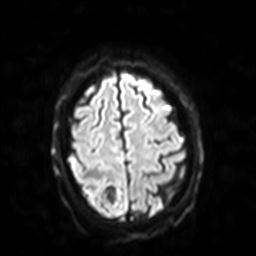
modality = 3 Tesla brain MRI; series = diffusion-weighted imaging with SENSE (WIP); study = ring-enhancing brain masses.